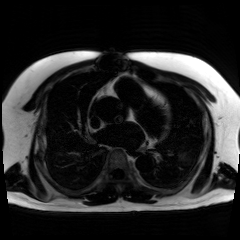
Case:
– modality — chemical-shift-encoded cardiac MRI